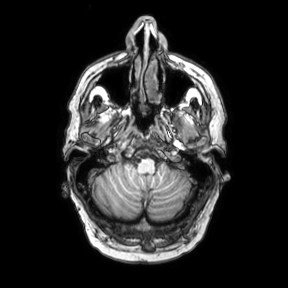
- modality · 3 Tesla brain MRI
- series · axial
- study · ring-enhancing brain masses